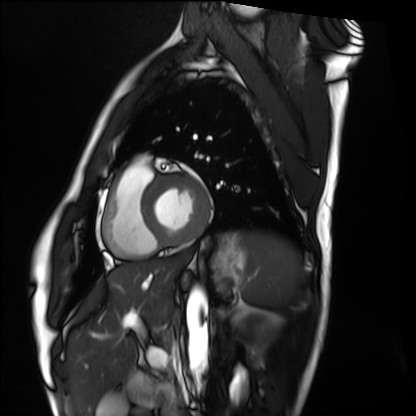
Cardiac MRI. Subject group: healthy volunteer.